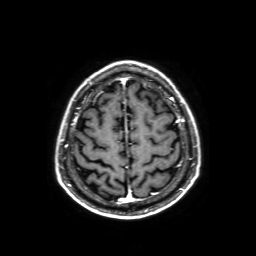
3 Tesla brain MRI.
Series: axial T1-weighted fusion image.
Study: ring-enhancing brain masses.